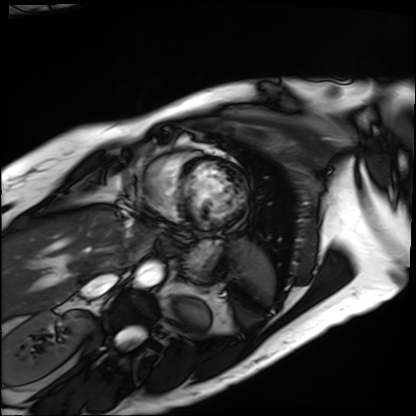
Summary: Cardiac MRI. Subject group: patient.